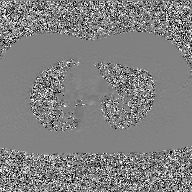
2D phase-contrast cine MRI of the ascending aorta, GAN super-resolution reconstruction.